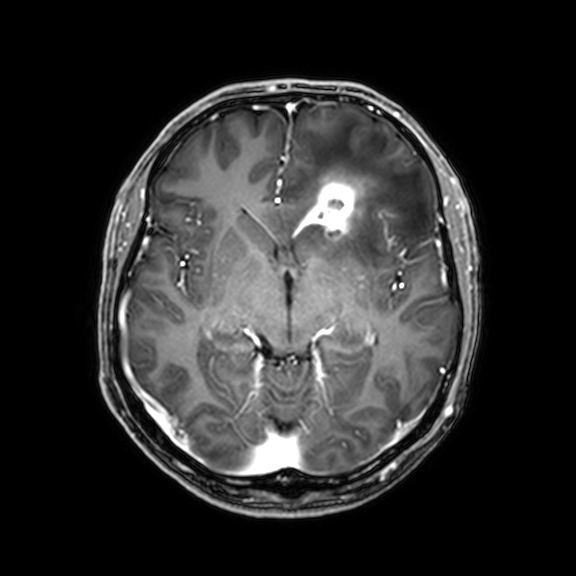
Case:
• modality · 3 Tesla brain MRI
• series · 3D T1-weighted with CLEAR
• study · ring-enhancing brain masses